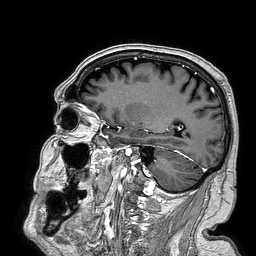
modality = 3 Tesla brain MRI; series = 3D T1-weighted turbo field echo; study = ring-enhancing brain masses.